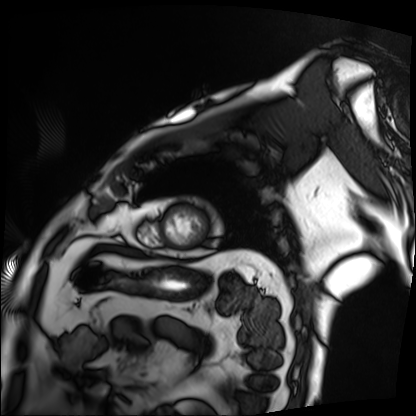
- modality · cardiac MRI
- subject group · patient